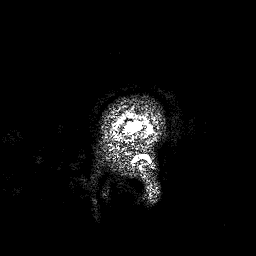
Q: What kind of scan is this?
A: 3 Tesla brain MRI.
Q: Series?
A: 3D T1-weighted.
Study: ring-enhancing brain masses.